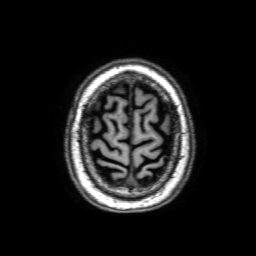
Case summary: 3 Tesla brain MRI. Series: 3D T1-weighted with SENSE. Study: ring-enhancing brain masses.